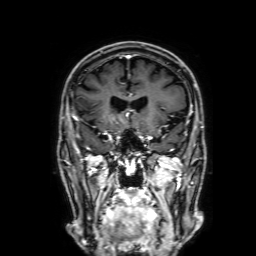
3 Tesla brain MRI. Series: 3D T1-weighted with SENSE. Study: ring-enhancing brain masses.